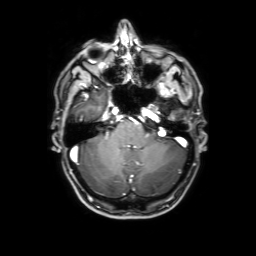
<record>
<modality>
  <type>brain MRI</type>
  <field_strength>3T</field_strength>
</modality>
<series>3D T1-weighted with SENSE</series>
<study_topic>ring-enhancing brain masses</study_topic>
</record>